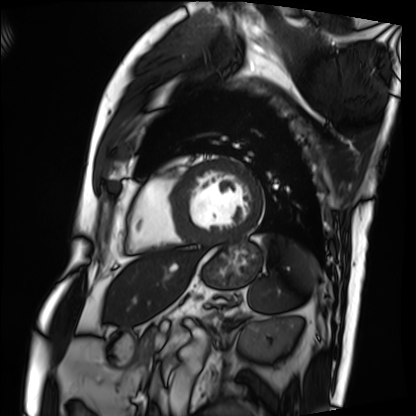
{
  "modality": "cardiac MRI",
  "cohort": "patient"
}